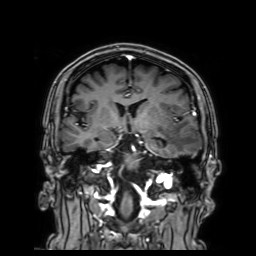
Case:
- modality — 3 Tesla brain MRI
- series — 3D T1-weighted with SENSE
- study — ring-enhancing brain masses